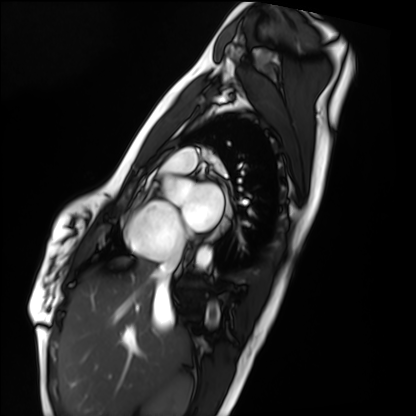
Q: What kind of scan is this?
A: Cardiac MRI.
Subject group: healthy volunteer.